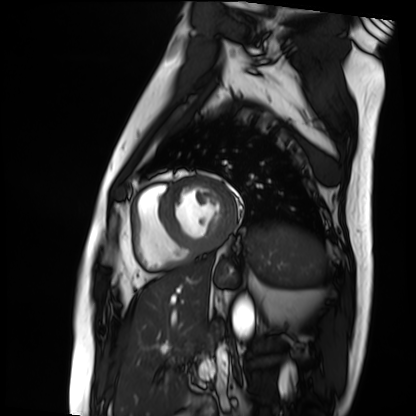
Case:
• modality: cardiac MRI
• subject group: patient